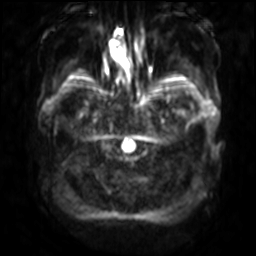
3 Tesla brain MRI. Series: diffusion-weighted imaging with SENSE (WIP). Study: ring-enhancing brain masses.